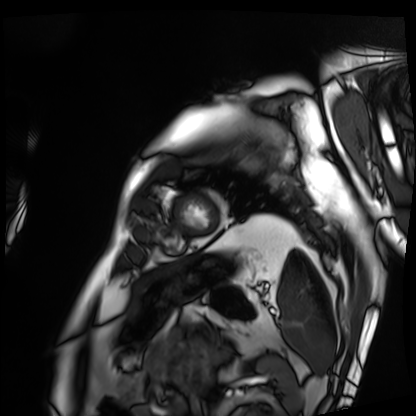
Cardiac MRI. Subject group: patient.